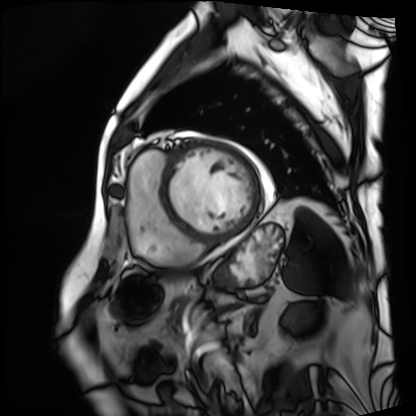
modality: cardiac MRI, subject group: patient.